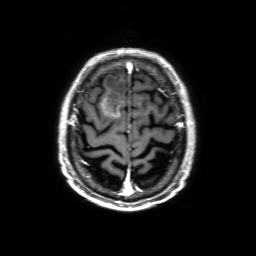
modality — 3 Tesla brain MRI; series — 3D T1-weighted with SENSE; study — ring-enhancing brain masses.